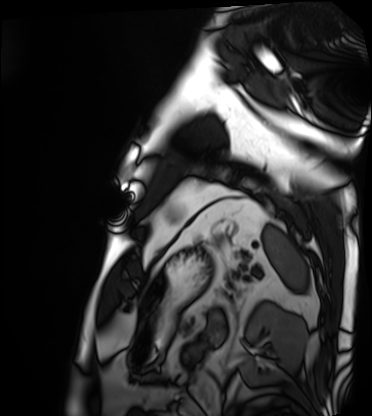
- modality: cardiac MRI
- subject group: patient